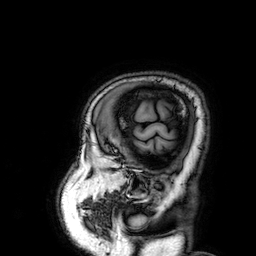
3 Tesla brain MRI. Series: 3D T1-weighted. Study: ring-enhancing brain masses.